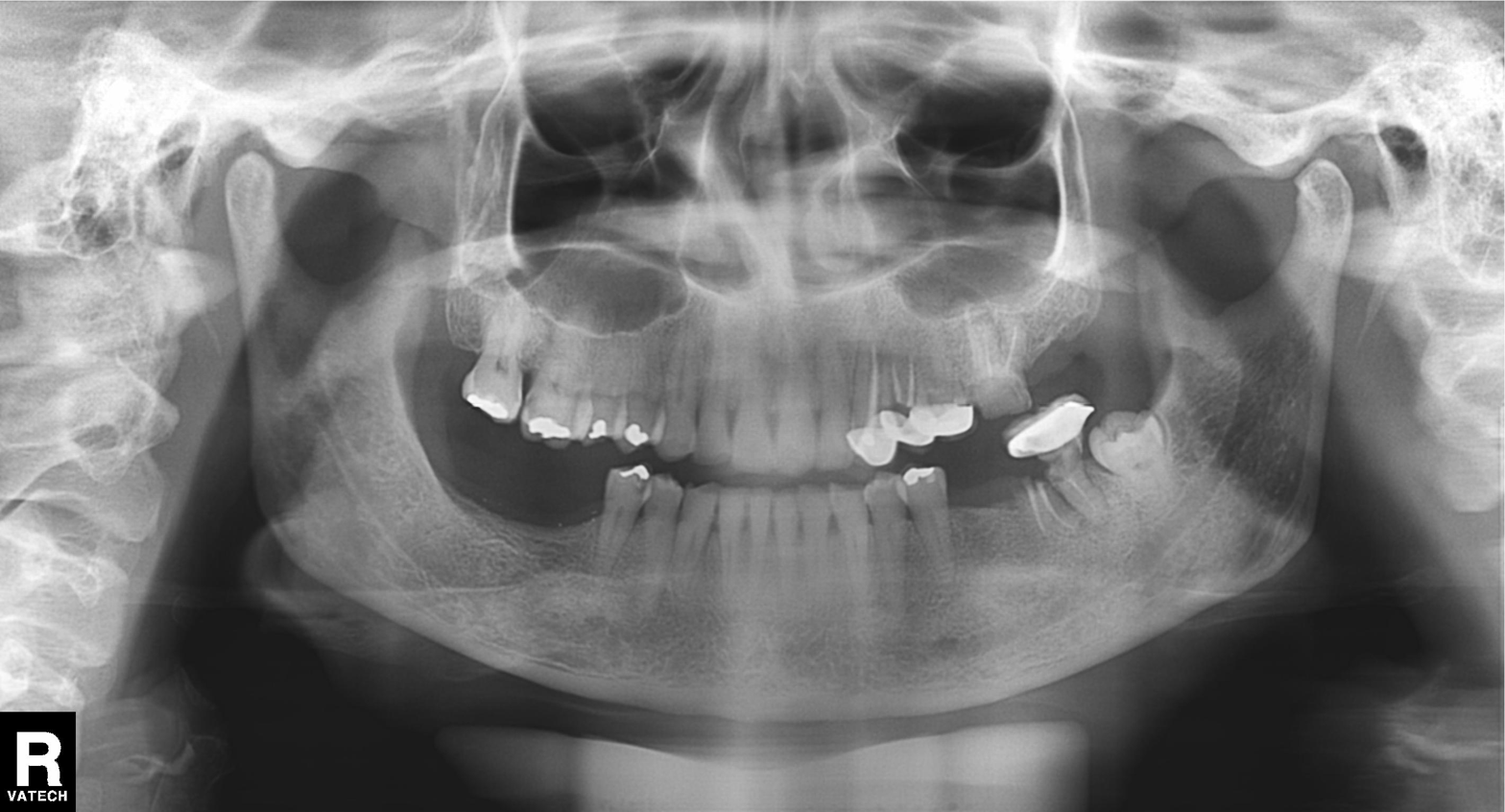
* modality: panoramic dental radiograph (orthopantomogram)
* finding: dental caries (cavities)